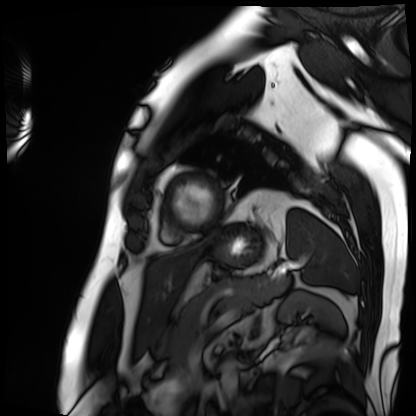
– modality — cardiac MRI
– subject group — patient